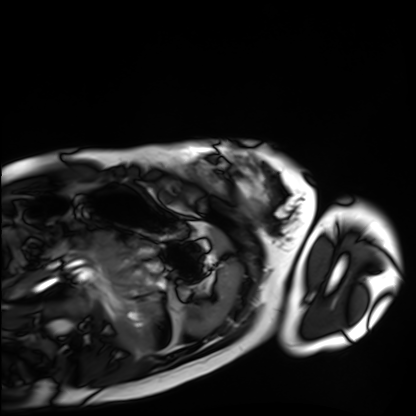
Summary:
Cardiac MRI. Subject group: healthy volunteer.